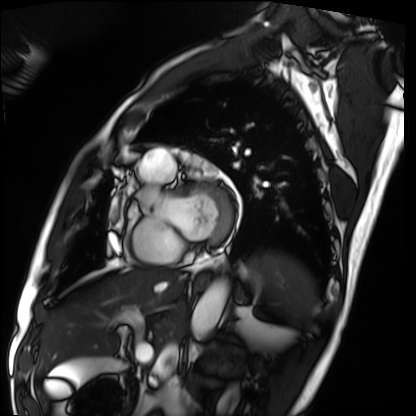
  modality: cardiac MRI
  cohort: patient